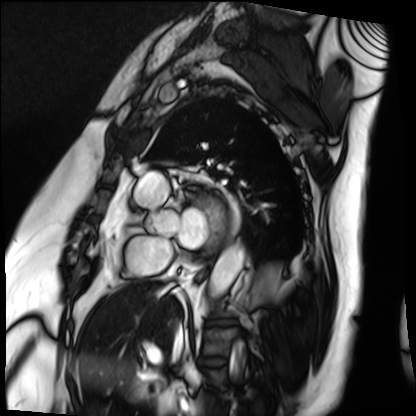
Cardiac MRI.
Subject group: patient.